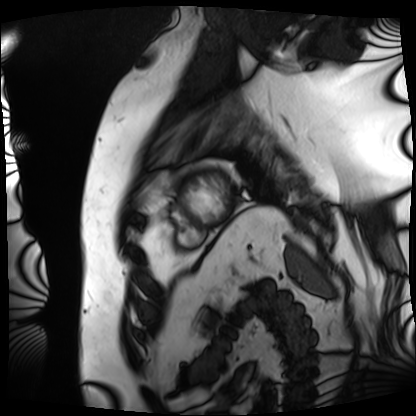
Cardiac MRI.
Subject group: patient.